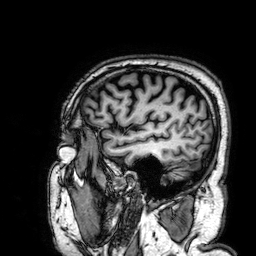
Q: What kind of scan is this?
A: 3 Tesla brain MRI.
Q: Series?
A: 3D T1-weighted.
Study: ring-enhancing brain masses.